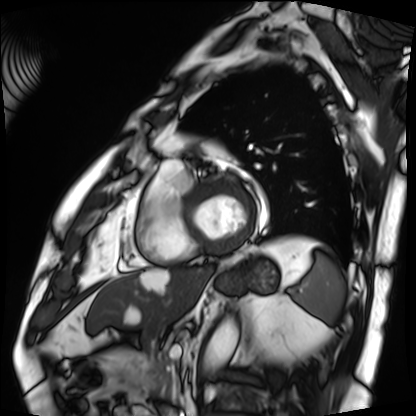
Cardiac MRI.
Subject group: patient.